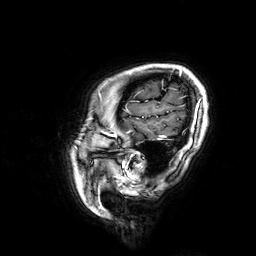
modality — 3 Tesla brain MRI
series — 3D T1-weighted
study — ring-enhancing brain masses